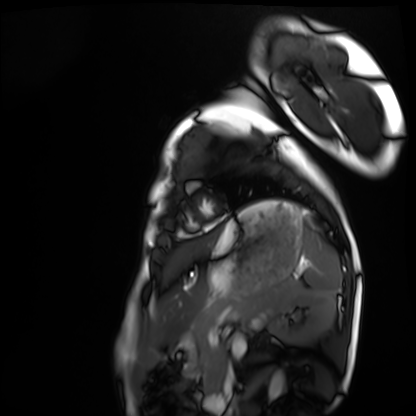
Case:
- modality · cardiac MRI
- subject group · healthy volunteer